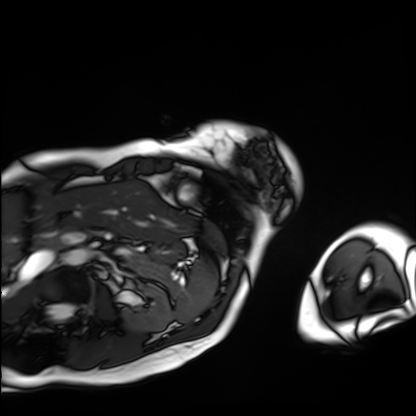
| field | value |
|---|---|
| modality | cardiac MRI |
| subject group | patient |